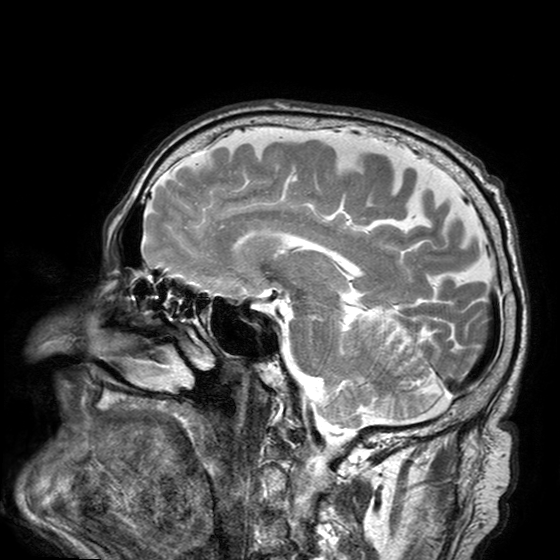
3 Tesla brain MRI. Series: T2-weighted turbo spin echo with SENSE. Study: ring-enhancing brain masses.